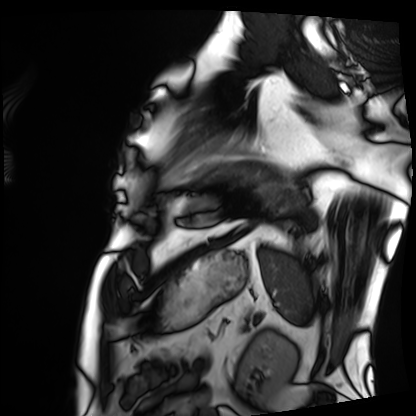
Summary: Cardiac MRI. Subject group: patient.